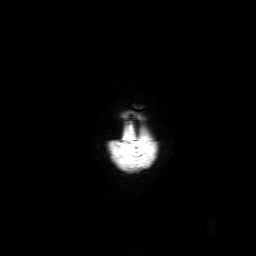
  modality:
    type: brain MRI
    field_strength: 3T
  series: 3D T1-weighted with SENSE
  study_topic: ring-enhancing brain masses